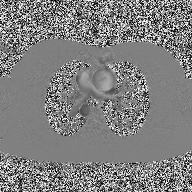
2D phase-contrast cine MRI of the ascending aorta, high-resolution GRAPPA acquisition.